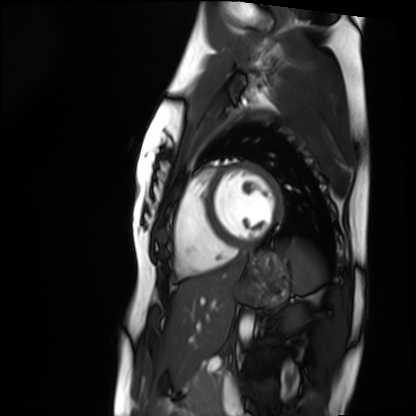
<study>
  <modality>cardiac MRI</modality>
  <cohort>healthy volunteer</cohort>
</study>